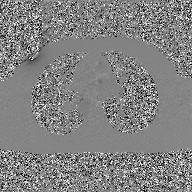
| field | value |
|---|---|
| modality | 2D phase-contrast cine MRI of the ascending aorta, GAN super-resolution reconstruction |